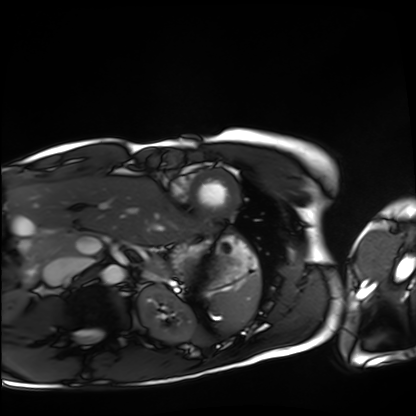
{"modality": "cardiac MRI", "cohort": "healthy volunteer"}